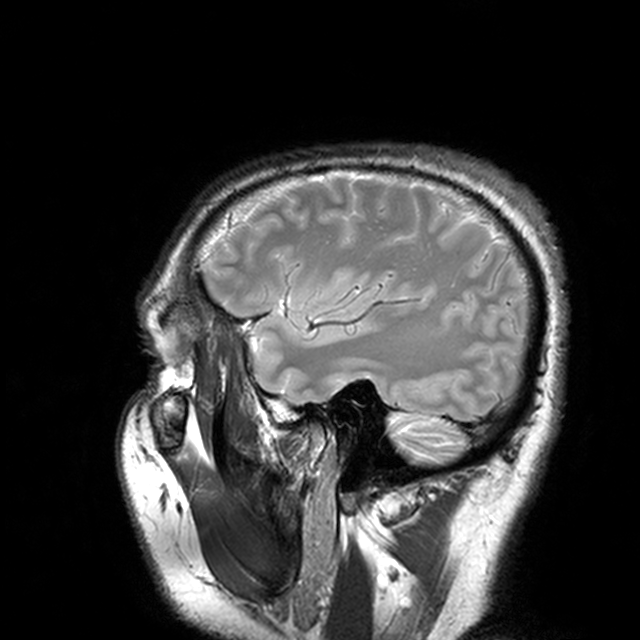
* modality · 3 Tesla brain MRI
* series · T2-weighted turbo spin echo with CLEAR
* study · ring-enhancing brain masses